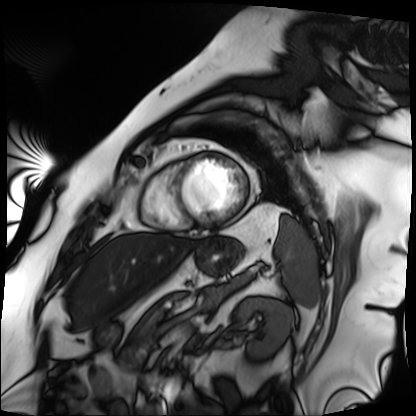
Cardiac MRI.
Subject group: patient.